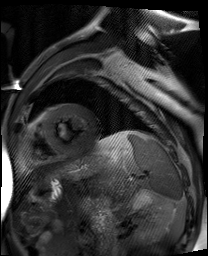
modality: cardiac MR image of the myocardium, subject cohort: cardiac patient.